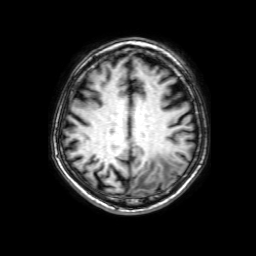
| field | value |
|---|---|
| modality | 3 Tesla brain MRI |
| series | 3D T1-weighted with SENSE |
| study | ring-enhancing brain masses |